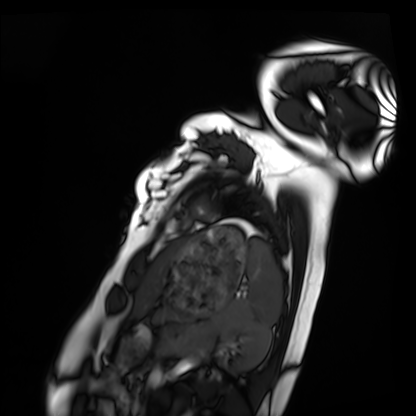
Clinical context: Cardiac MRI. Subject group: healthy volunteer.